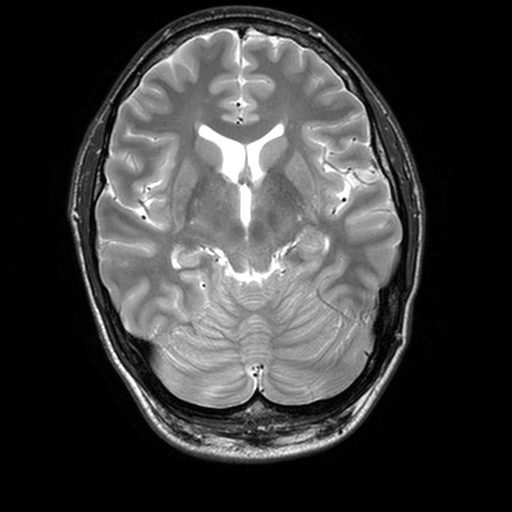
Q: What kind of scan is this?
A: 3 Tesla brain MRI.
Q: Series?
A: T2-weighted turbo spin echo, 3 mm.
Study: ring-enhancing brain masses.